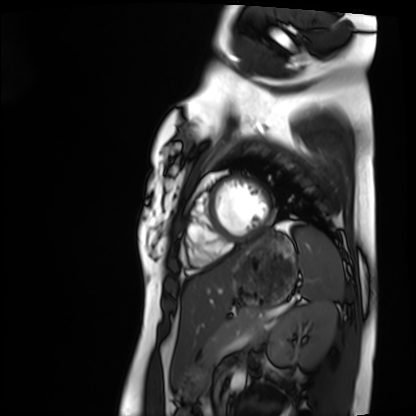
{
  "modality": "cardiac MRI",
  "cohort": "healthy volunteer"
}